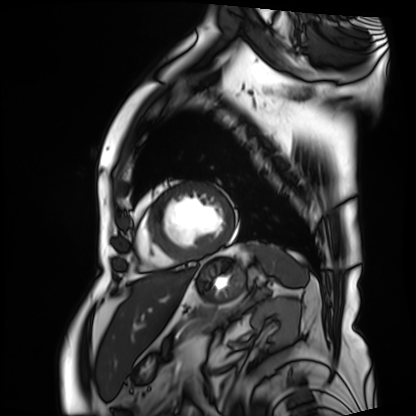
Case summary: Cardiac MRI. Subject group: patient.